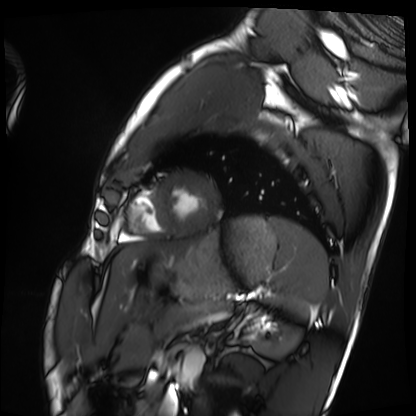
Q: What kind of scan is this?
A: Cardiac MRI.
Subject group: healthy volunteer.